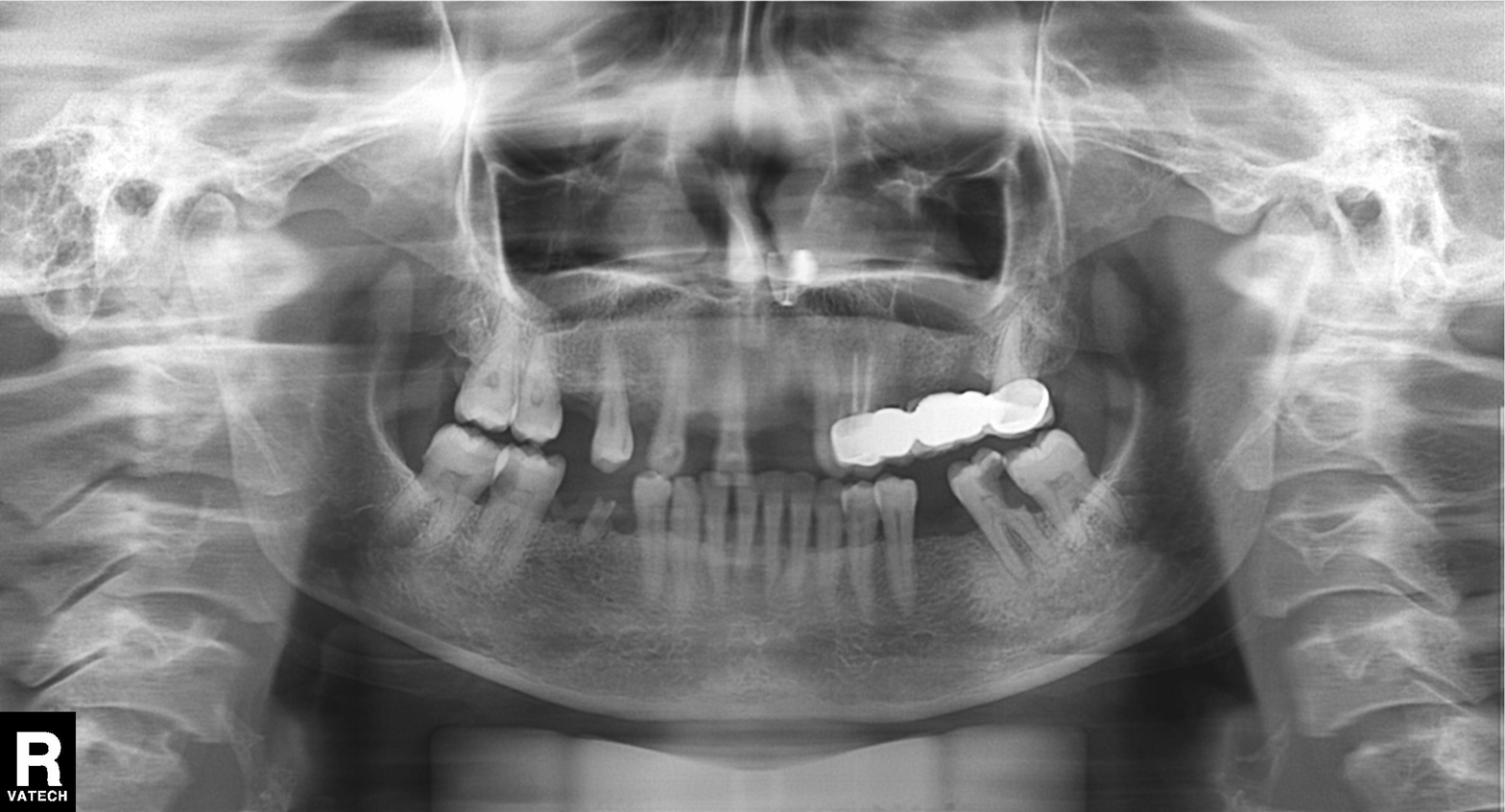
Panoramic dental radiograph (orthopantomogram). Finding: alveolar bone loss.